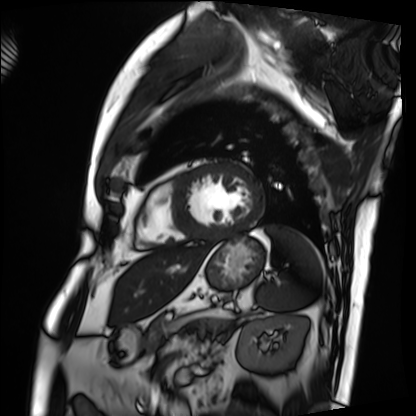
Cardiac MRI. Subject group: patient.